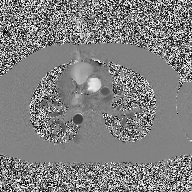
2D phase-contrast cine MRI of the ascending aorta, high-resolution GRAPPA acquisition.